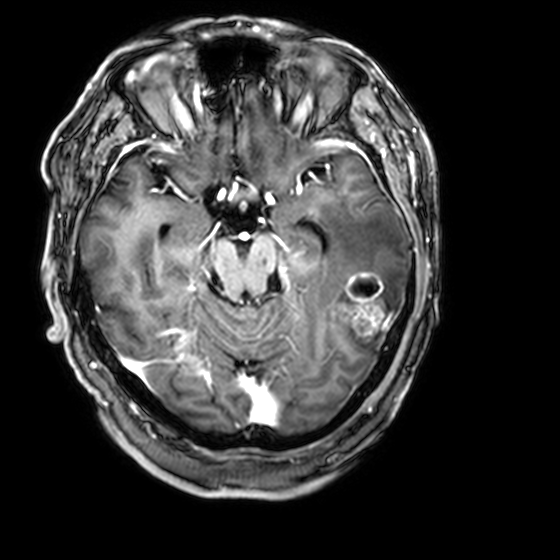
modality = 3 Tesla brain MRI | series = 3D T1-weighted with CLEAR | study = ring-enhancing brain masses.